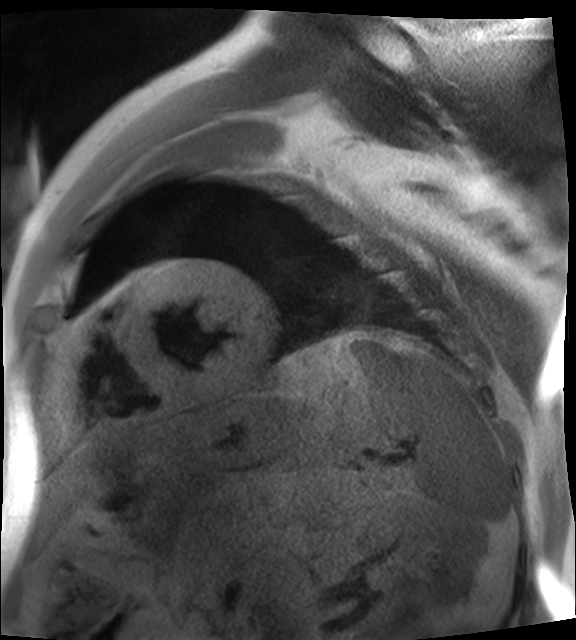
Cardiac MR image of the myocardium. Subject cohort: cardiac patient.